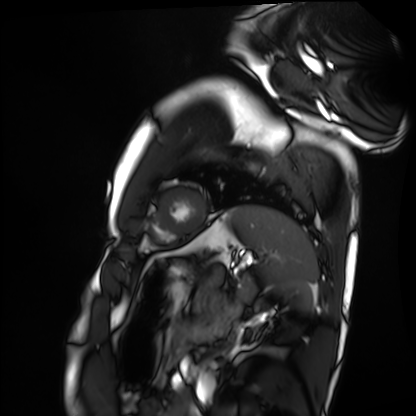
* modality · cardiac MRI
* subject group · healthy volunteer